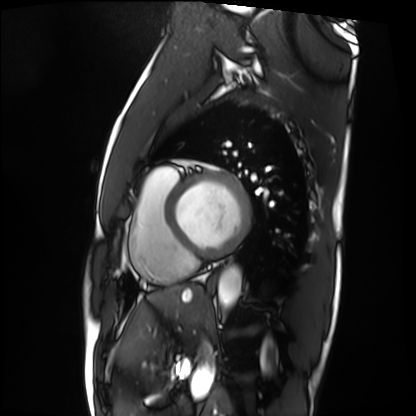
modality = cardiac MRI | subject group = patient.